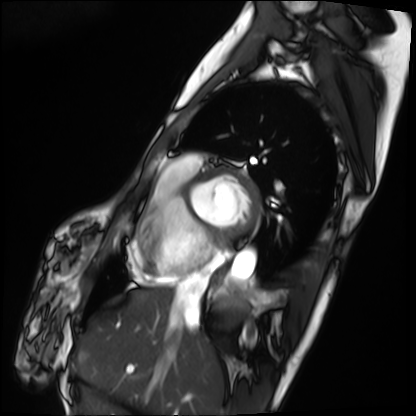
modality: cardiac MRI | subject group: patient.